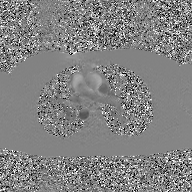
- modality — 2D phase-contrast cine MRI of the ascending aorta, GAN super-resolution reconstruction